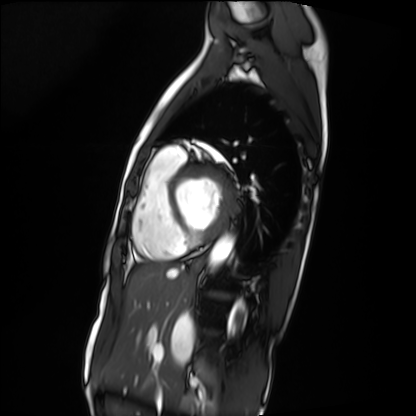
Cardiac MRI.
Subject group: patient.